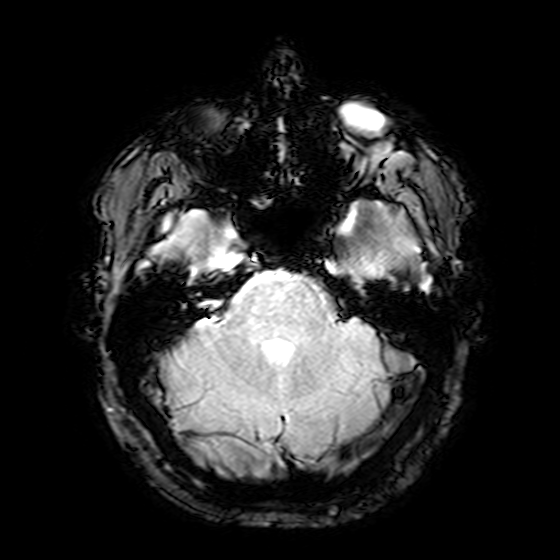
3 Tesla brain MRI. Series: T2-weighted fast field echo. Study: ring-enhancing brain masses.